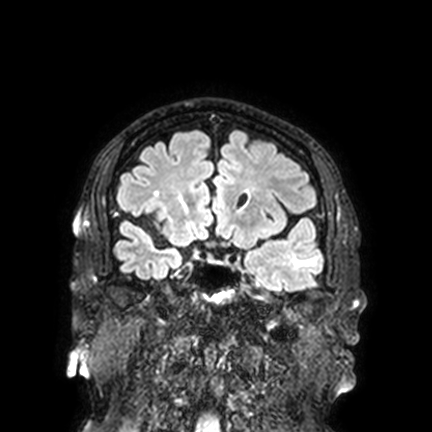
3 Tesla brain MRI.
Series: FLAIR VISTA with SENSE.
Study: ring-enhancing brain masses.